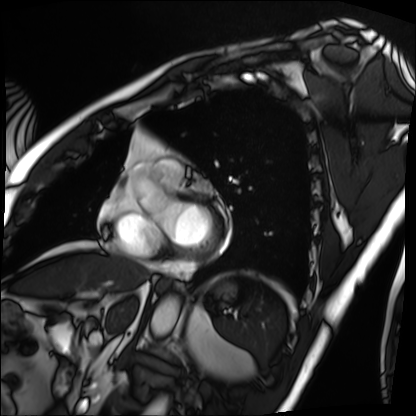
Summary:
Cardiac MRI. Subject group: patient.